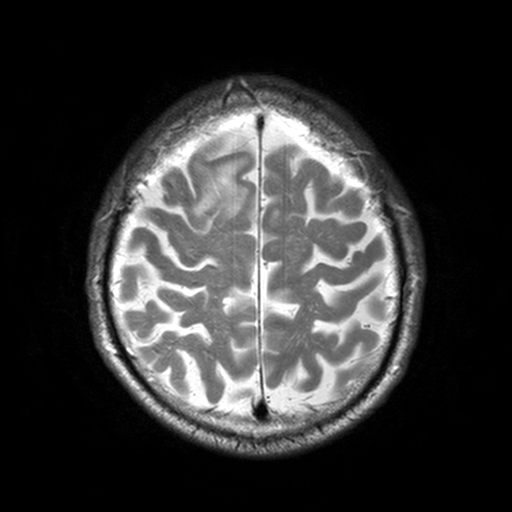
Case:
– modality · 3 Tesla brain MRI
– series · T2-weighted turbo spin echo, 3 mm
– study · ring-enhancing brain masses